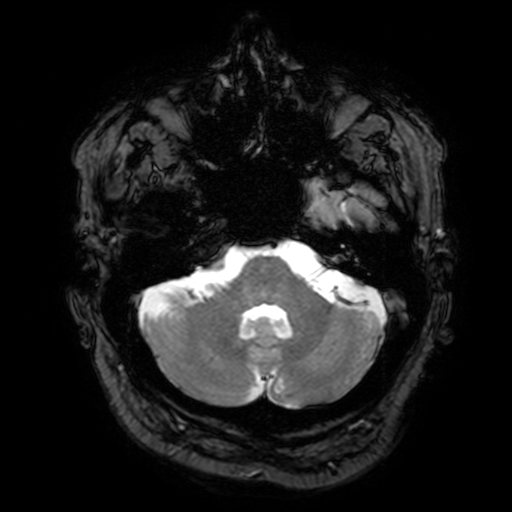
3 Tesla brain MRI.
Series: T2-weighted fast field echo with SENSE.
Study: ring-enhancing brain masses.